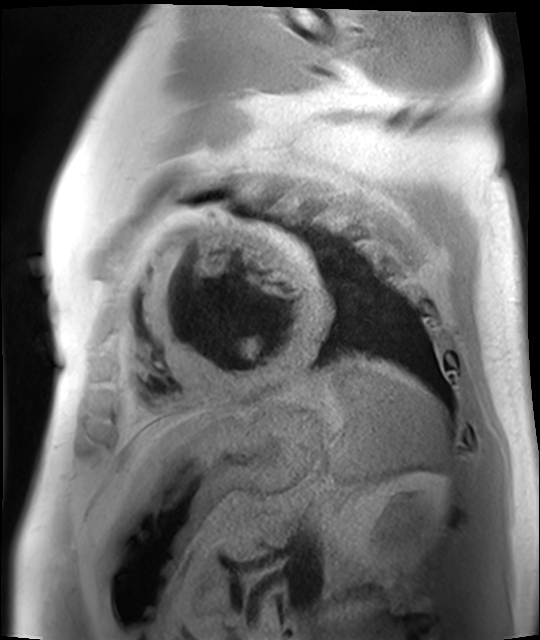
Cardiac MR image of the myocardium.
Subject cohort: cardiac patient.